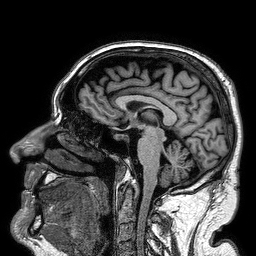
3 Tesla brain MRI. Series: 3D T1-weighted turbo field echo. Study: ring-enhancing brain masses.